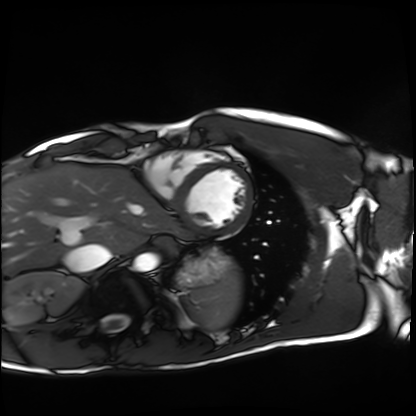
{"modality": "cardiac MRI", "cohort": "healthy volunteer"}